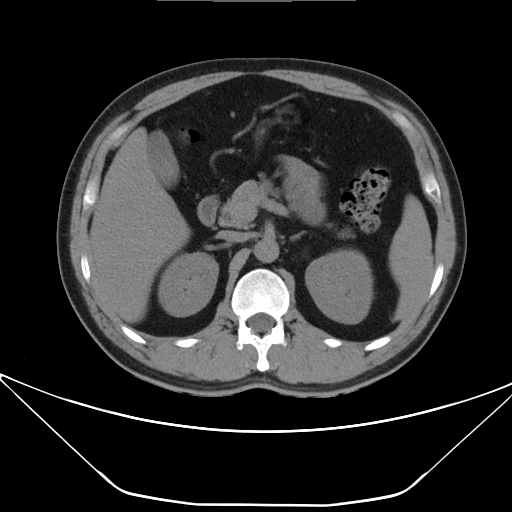
* modality: multiphase abdominal CT, liver, non-contrast phase
* patient: male, age 38